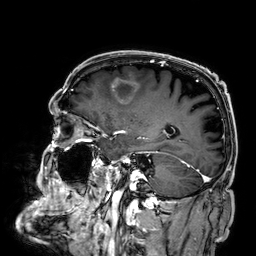
Summary: 3 Tesla brain MRI. Series: 3D T1-weighted. Study: ring-enhancing brain masses.